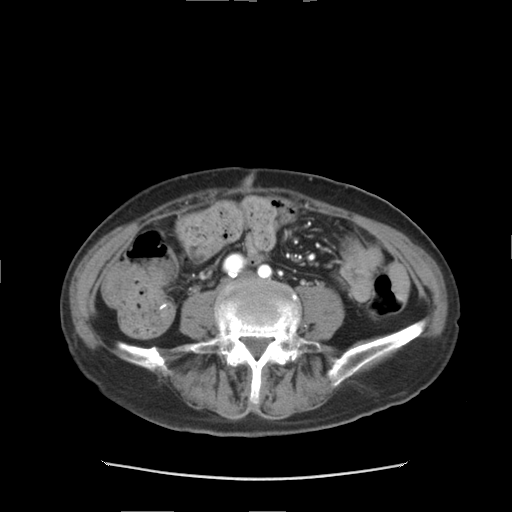
Multiphase abdominal CT, liver, arterial phase. Patient: female, age 68. History: prior chemotherapy.